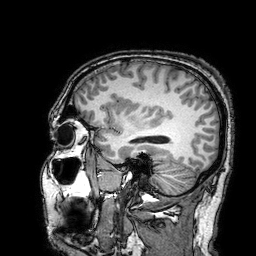
{
  "modality": {
    "type": "brain MRI",
    "field_strength": "3T"
  },
  "series": "3D T1-weighted turbo field echo with SENSE",
  "study_topic": "ring-enhancing brain masses"
}